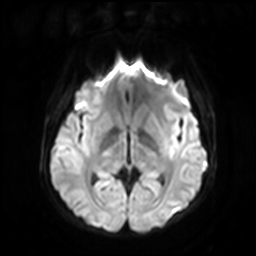
<study>
  <modality>
    <type>brain MRI</type>
    <field_strength>3T</field_strength>
  </modality>
  <series>diffusion-weighted imaging with SENSE (WIP)</series>
  <study_topic>ring-enhancing brain masses</study_topic>
</study>